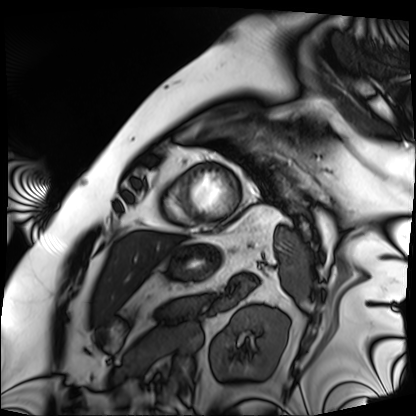
Q: What kind of scan is this?
A: Cardiac MRI.
Subject group: patient.